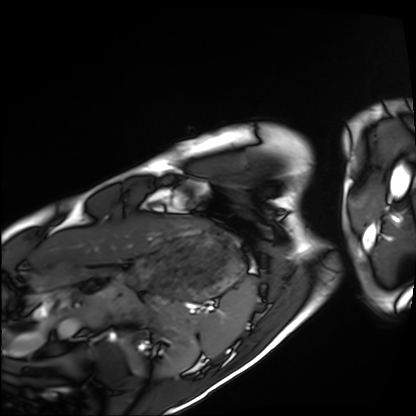
Summary: Cardiac MRI. Subject group: healthy volunteer.